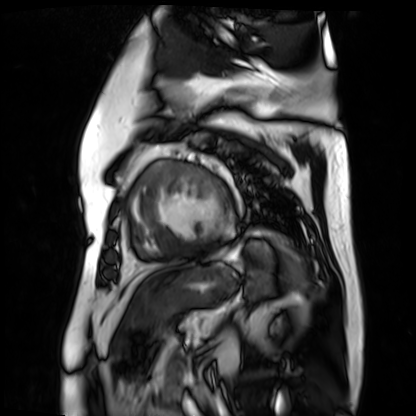
  modality: cardiac MR image of the myocardium
  cohort: cardiac patient